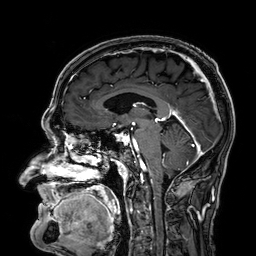
modality: 3 Tesla brain MRI; study: ring-enhancing brain masses.